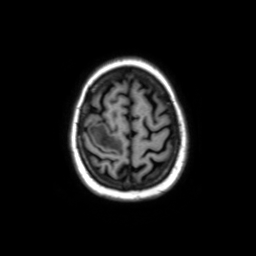
Q: What kind of scan is this?
A: 3 Tesla brain MRI.
Study: ring-enhancing brain masses.